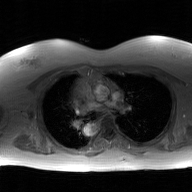
Case:
• modality — 2D phase-contrast cine MRI of the ascending aorta, GAN super-resolution reconstruction